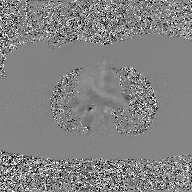
2D phase-contrast cine MRI of the ascending aorta, GAN super-resolution reconstruction.